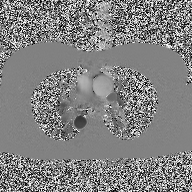
2D phase-contrast cine MRI of the ascending aorta, high-resolution GRAPPA acquisition.